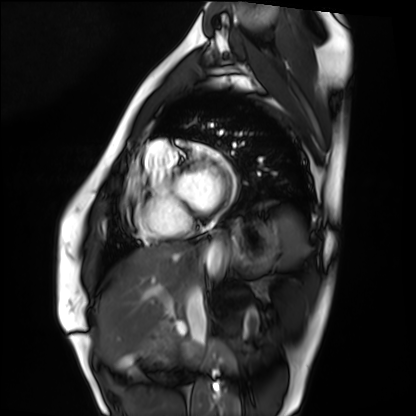
Clinical context:
Cardiac MRI. Subject group: healthy volunteer.